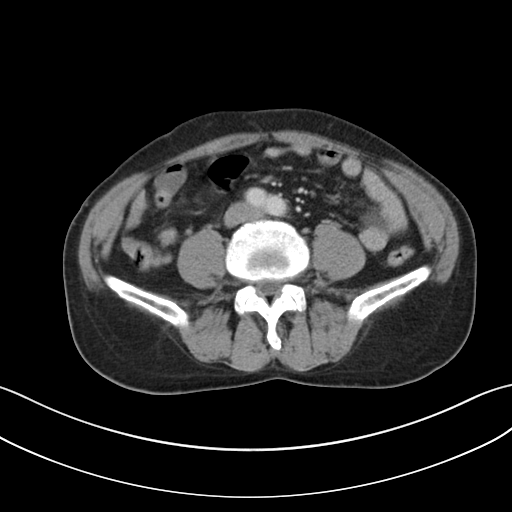
  modality:
    type: multiphase abdominal CT
    region: liver
    phase: portal venous
  patient:
    sex: male
    age: 65
  history:
    - viral hepatitis